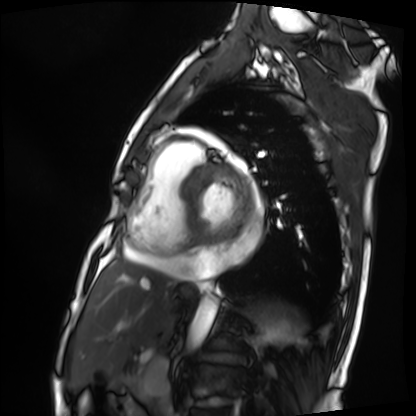
Cardiac MRI.
Subject group: patient.